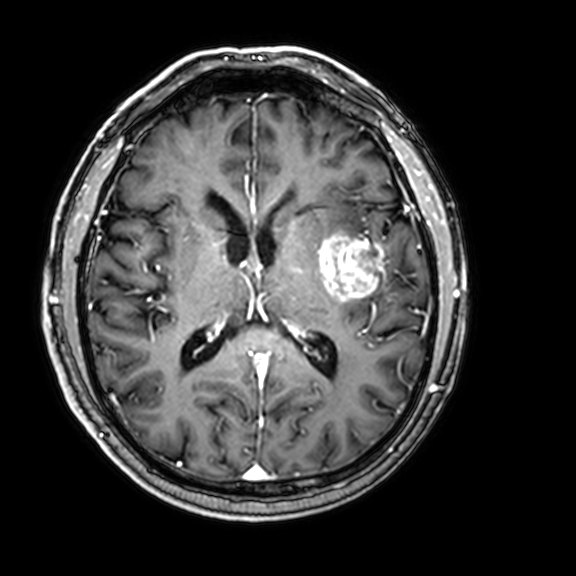
Summary: 3 Tesla brain MRI. Series: 3D T1-weighted with CLEAR. Study: ring-enhancing brain masses.